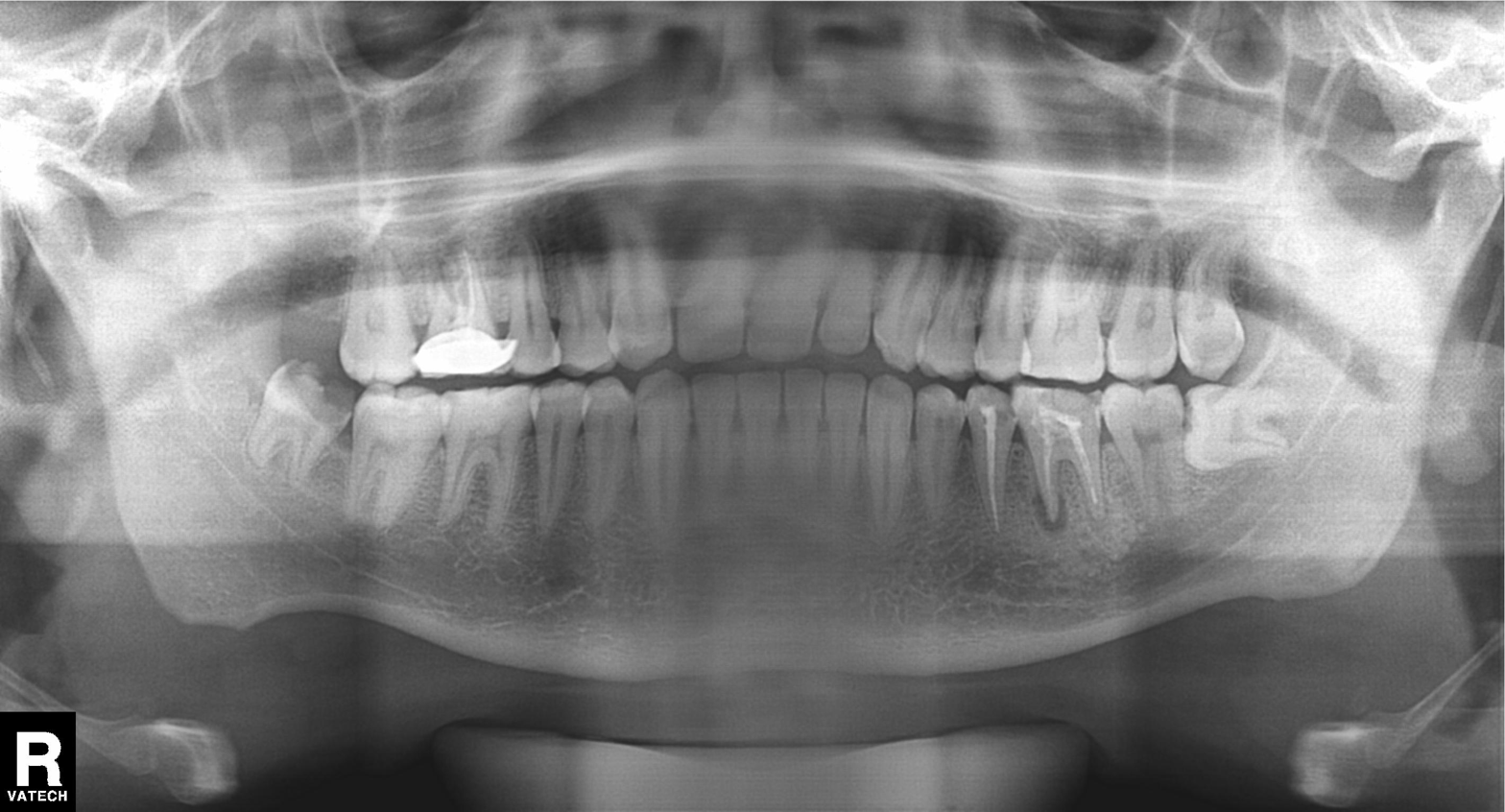
Q: What kind of scan is this?
A: Panoramic dental radiograph (orthopantomogram).
Q: What is the radiographic finding?
A: Dental caries (cavities).